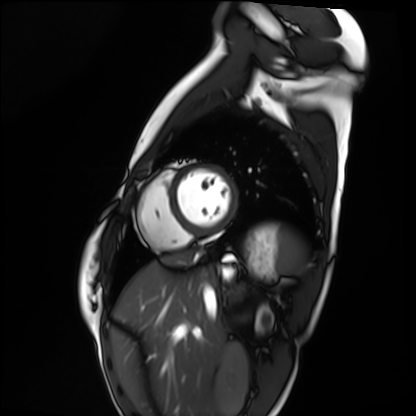
modality = cardiac MRI; subject group = healthy volunteer.